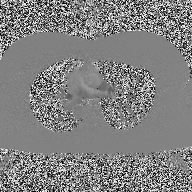
2D phase-contrast cine MRI of the ascending aorta, high-resolution GRAPPA acquisition.